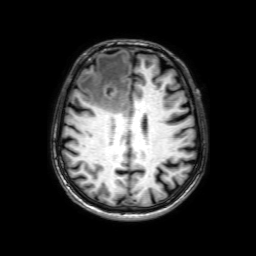
3 Tesla brain MRI. Series: 3D T1-weighted with SENSE. Study: ring-enhancing brain masses.